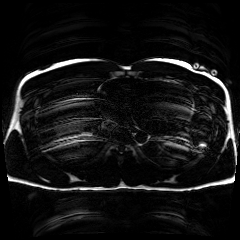
modality=chemical-shift-encoded cardiac MRI.